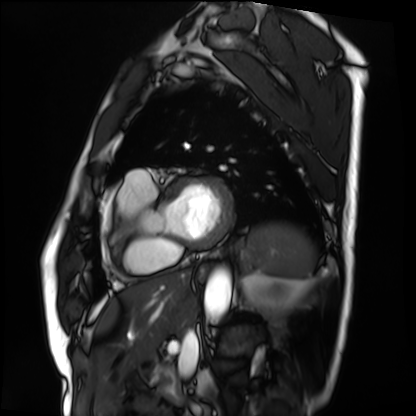
Cardiac MRI. Subject group: patient.